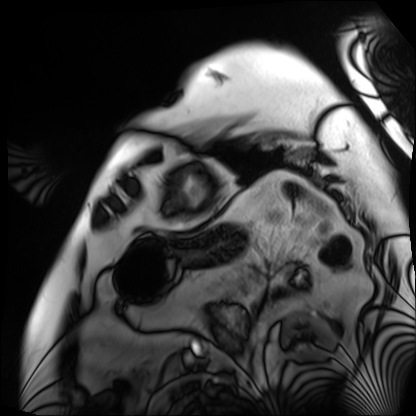
Cardiac MRI.
Subject group: patient.